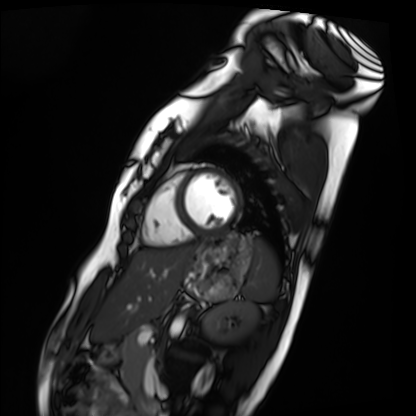
modality: cardiac MRI
cohort: healthy volunteer